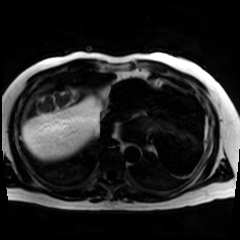
modality: chemical-shift-encoded cardiac MRI.